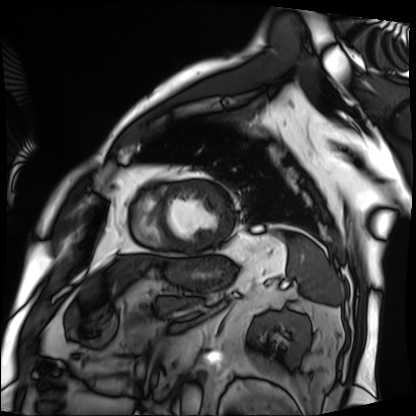
Cardiac MRI. Subject group: patient.